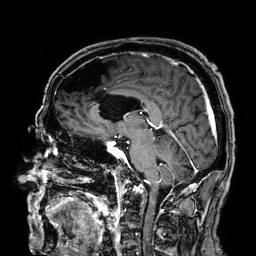
modality = 3 Tesla brain MRI | series = 3D T1-weighted | study = ring-enhancing brain masses.